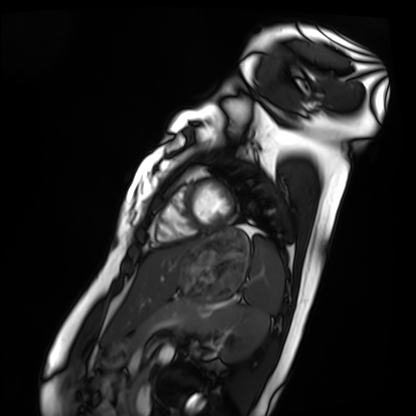
– modality — cardiac MRI
– subject group — healthy volunteer